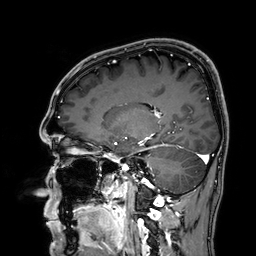
Summary: 3 Tesla brain MRI. Series: 3D T1-weighted. Study: ring-enhancing brain masses.